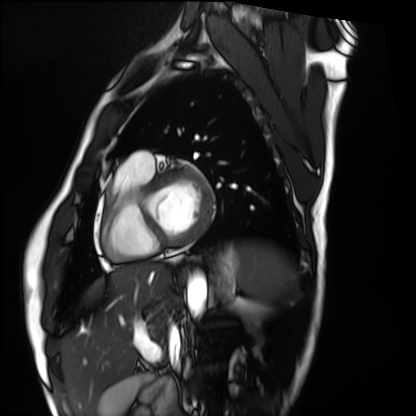
Cardiac MRI.
Subject group: healthy volunteer.